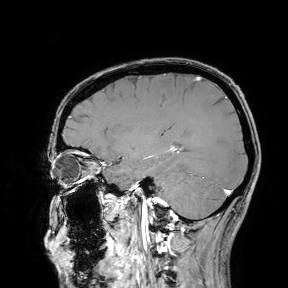
• modality: 3 Tesla brain MRI
• study: ring-enhancing brain masses